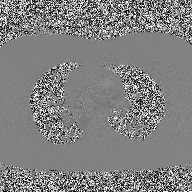
2D phase-contrast cine MRI of the ascending aorta, high-resolution GRAPPA acquisition.